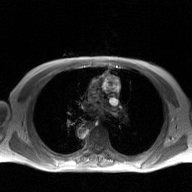
2D phase-contrast cine MRI of the ascending aorta, GAN super-resolution reconstruction.